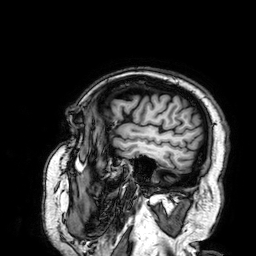
{
  "modality": {
    "type": "brain MRI",
    "field_strength": "3T"
  },
  "series": "3D T1-weighted",
  "study_topic": "ring-enhancing brain masses"
}